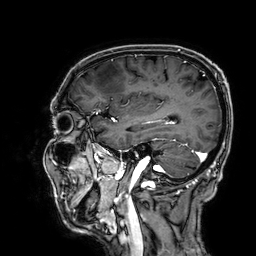
Case:
- modality · 3 Tesla brain MRI
- series · 3D T1-weighted
- study · ring-enhancing brain masses